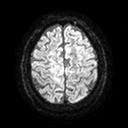
<study>
<modality>
  <type>brain MRI</type>
  <field_strength>3T</field_strength>
</modality>
<series>diffusion tensor imaging (medium iso)</series>
<study_topic>ring-enhancing brain masses</study_topic>
</study>